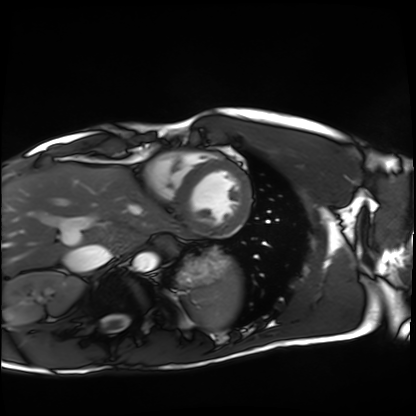
Case summary:
Cardiac MRI. Subject group: healthy volunteer.